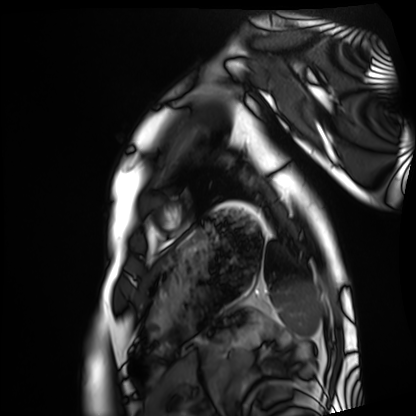
modality = cardiac MRI | subject group = healthy volunteer.